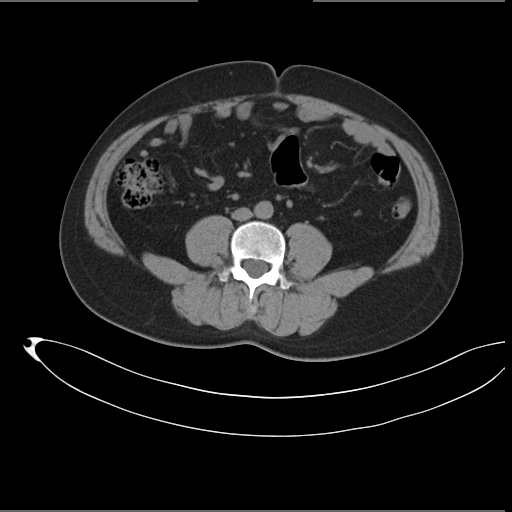
Multiphase abdominal CT, liver, non-contrast phase.
Patient: male, age 35.
History: prior chemotherapy.